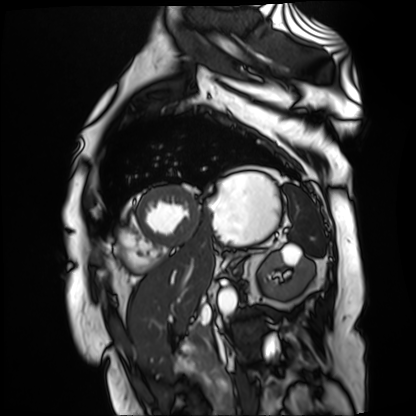
Cardiac MR image of the myocardium.
Subject cohort: cardiac patient.